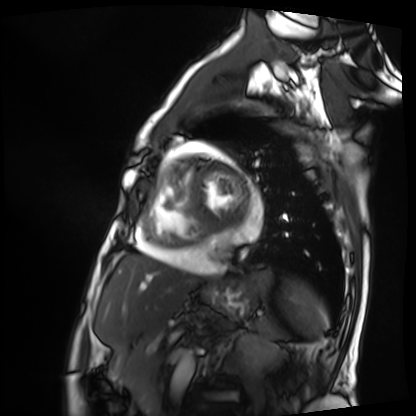
* modality — cardiac MRI
* subject group — patient